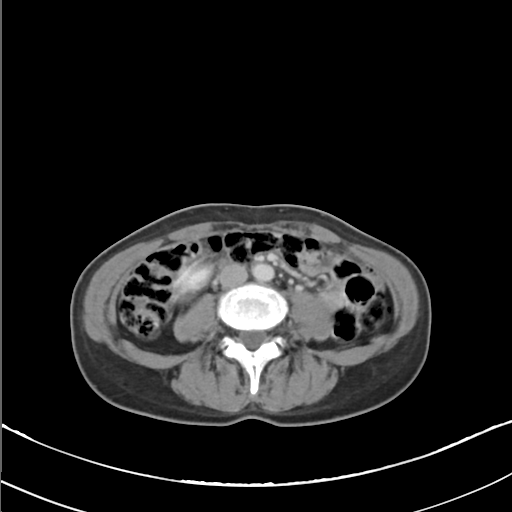
modality: multiphase abdominal CT, liver, delayed phase | patient: female, age 53.